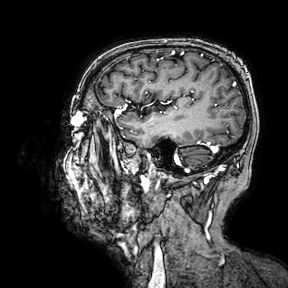
| field | value |
|---|---|
| modality | 3 Tesla brain MRI |
| series | 3D T1-weighted turbo field echo with SENSE |
| study | ring-enhancing brain masses |